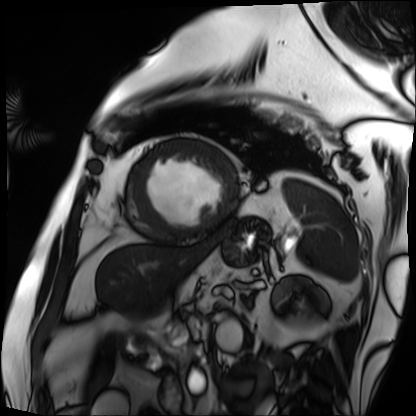
Q: What kind of scan is this?
A: Cardiac MRI.
Subject group: patient.